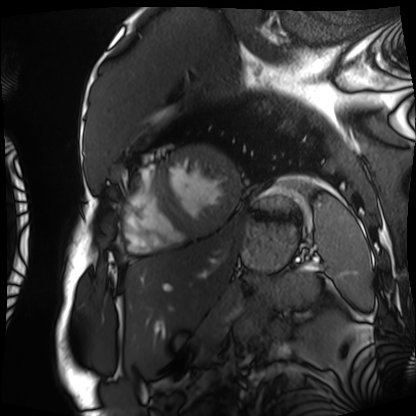
Summary: Cardiac MRI. Subject group: patient.